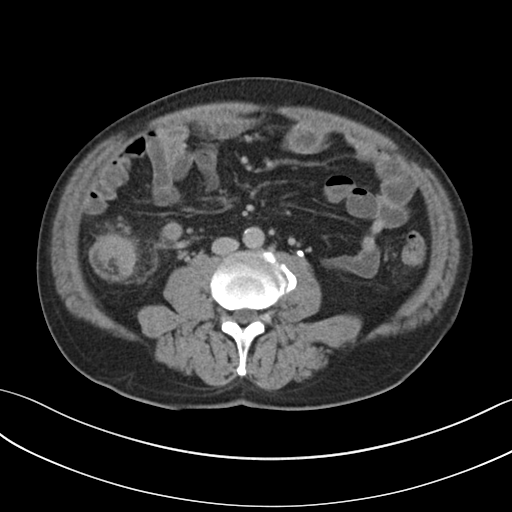
| field | value |
|---|---|
| modality | multiphase abdominal CT, liver, delayed phase |
| patient | male, age 57 |